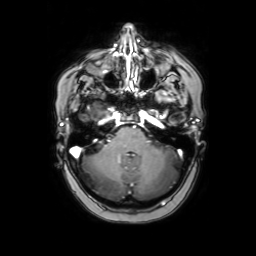
– modality — 3 Tesla brain MRI
– study — ring-enhancing brain masses